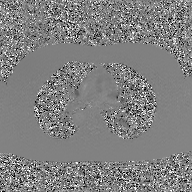
| field | value |
|---|---|
| modality | 2D phase-contrast cine MRI of the ascending aorta, GAN super-resolution reconstruction |